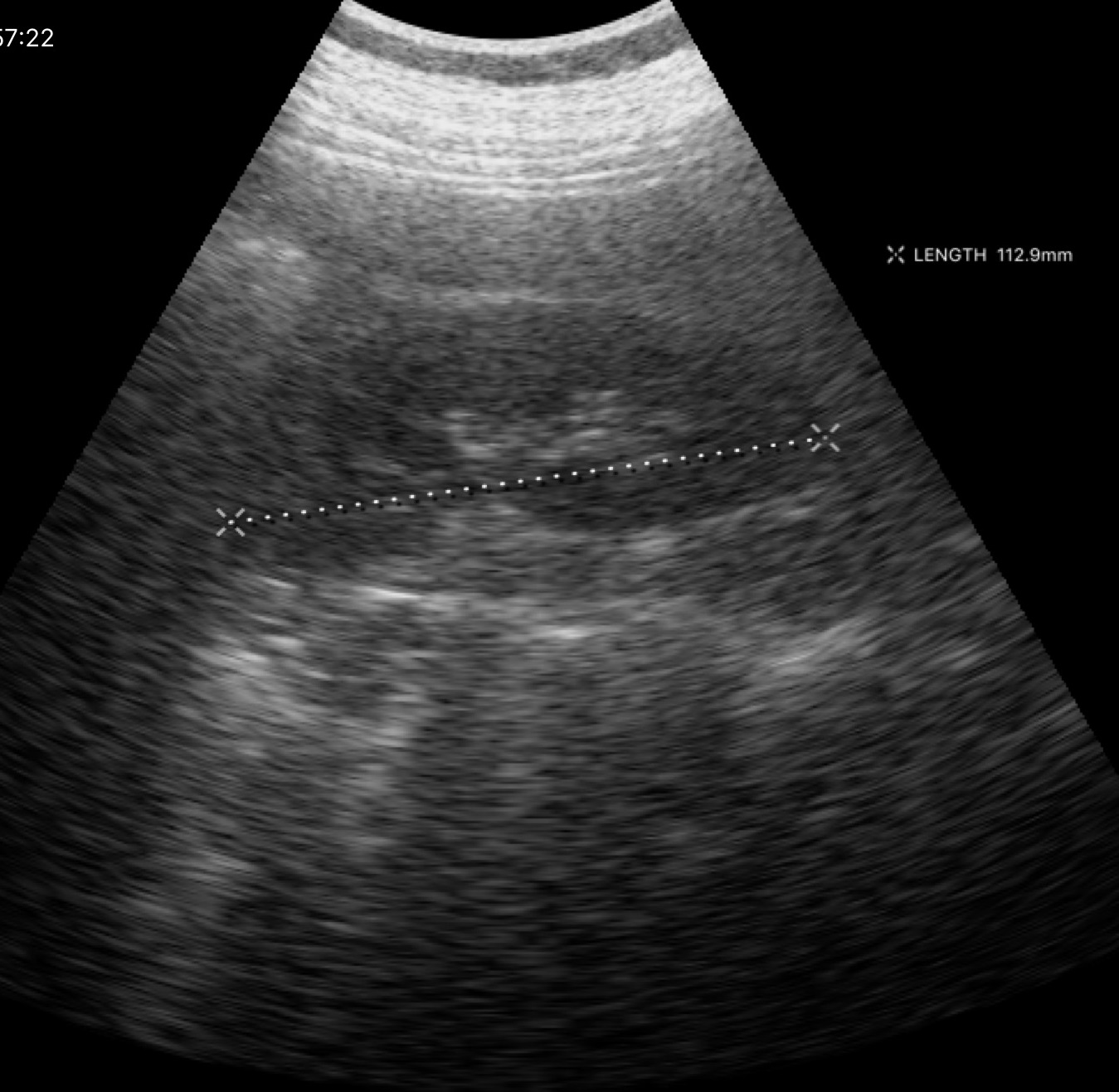
modality: genitourinary ultrasound